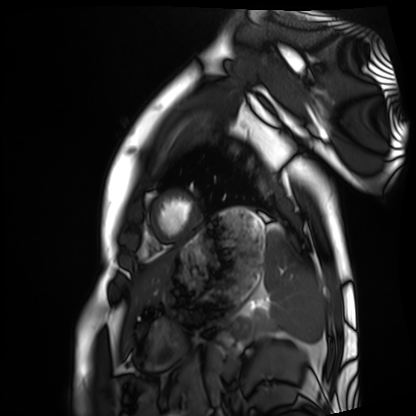
Cardiac MRI.
Subject group: healthy volunteer.